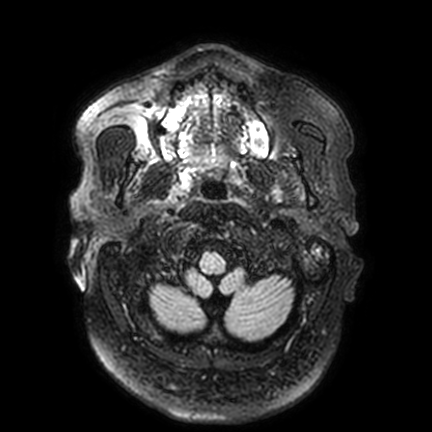
Q: What kind of scan is this?
A: 3 Tesla brain MRI.
Study: ring-enhancing brain masses.